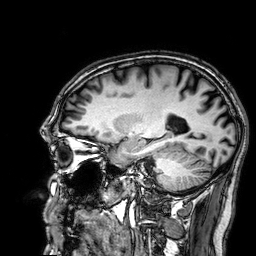
3 Tesla brain MRI.
Series: 3D T1-weighted.
Study: ring-enhancing brain masses.